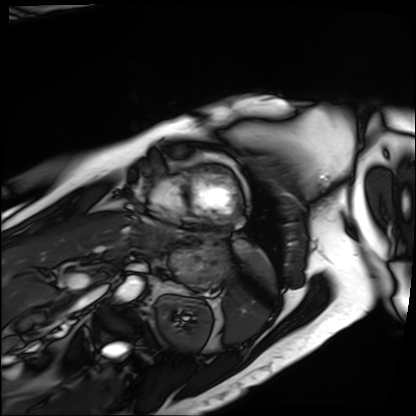
Case summary:
Cardiac MRI. Subject group: patient.